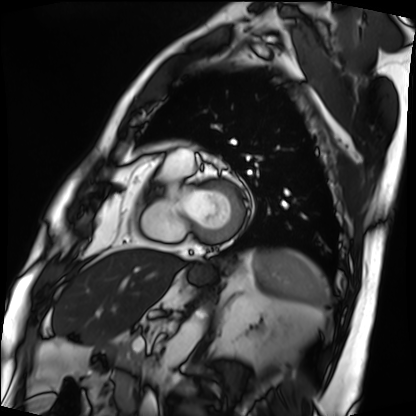
Cardiac MRI. Subject group: patient.